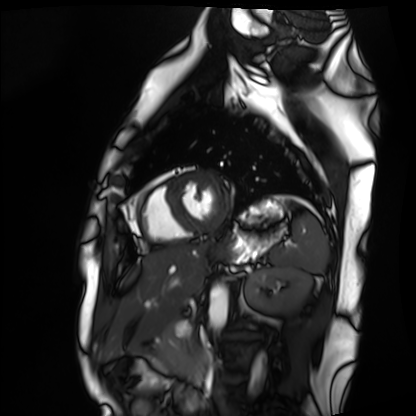
<record>
<modality>cardiac MRI</modality>
<cohort>healthy volunteer</cohort>
</record>